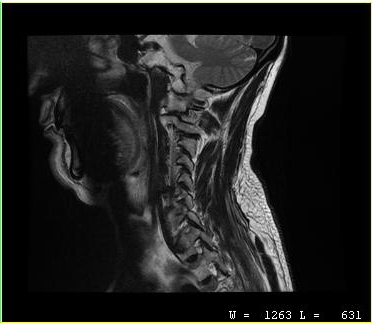
MRI of the cervical spine. Study: cervical spondylosis.